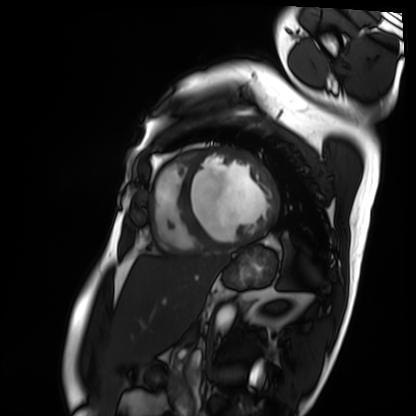
Cardiac MRI. Subject group: patient.